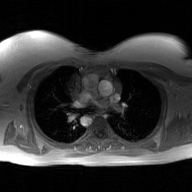
2D phase-contrast cine MRI of the ascending aorta, GAN super-resolution reconstruction.